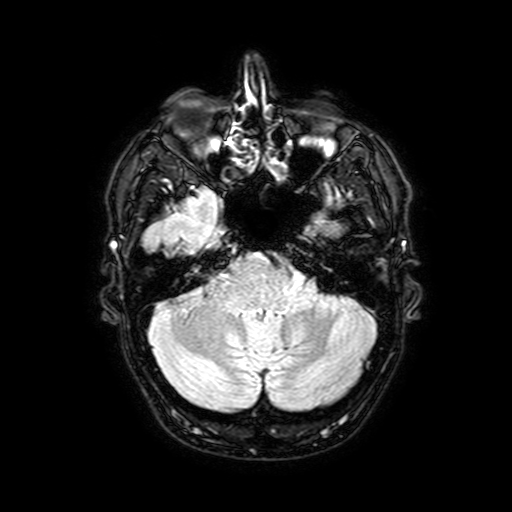
modality: 3 Tesla brain MRI | series: FLAIR with SPAIR, 3 mm | study: ring-enhancing brain masses.